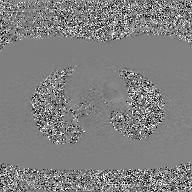
– modality: 2D phase-contrast cine MRI of the ascending aorta, GAN super-resolution reconstruction